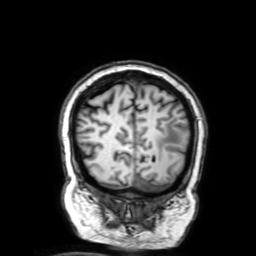
Case:
• modality: 3 Tesla brain MRI
• series: 3D T1-weighted with SENSE
• study: ring-enhancing brain masses